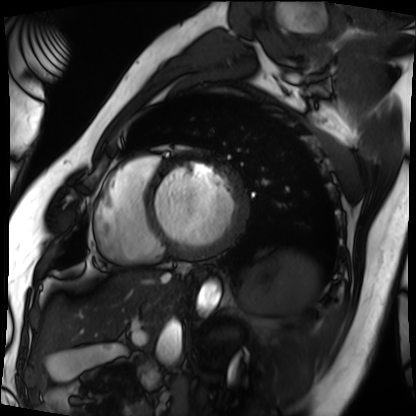
Case:
- modality: cardiac MRI
- subject group: patient